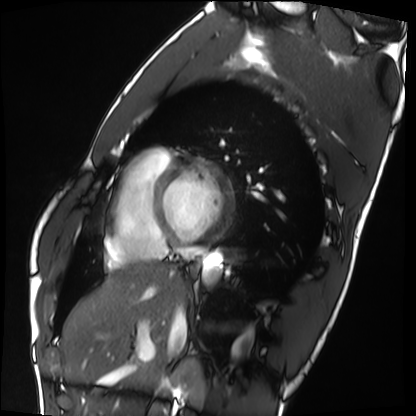
Cardiac MRI.
Subject group: healthy volunteer.